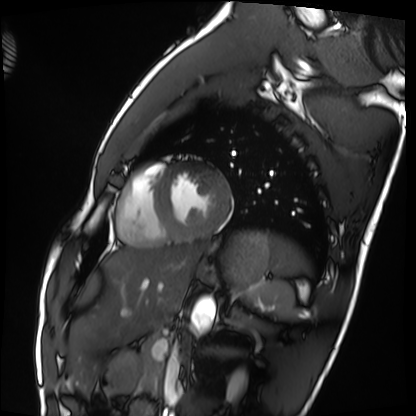
– modality · cardiac MRI
– subject group · healthy volunteer